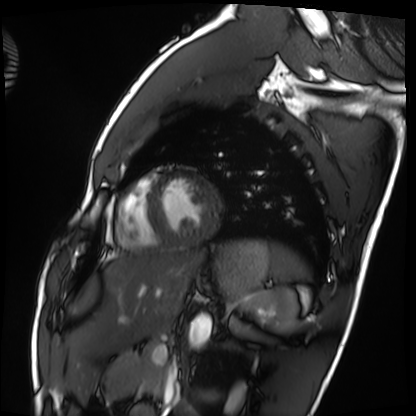
{
  "modality": "cardiac MRI",
  "cohort": "healthy volunteer"
}